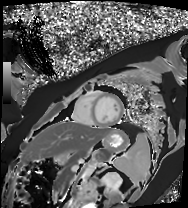
Cardiac MR image of the myocardium. Subject cohort: healthy volunteer.